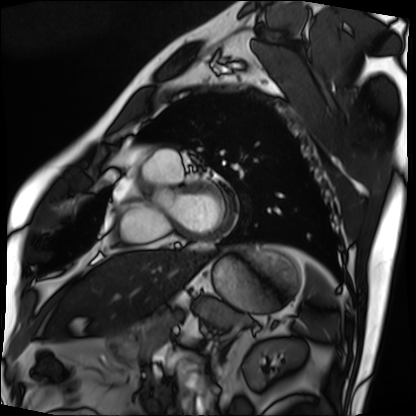
Cardiac MRI. Subject group: patient.